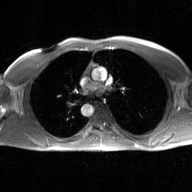
2D phase-contrast cine MRI of the ascending aorta, GAN super-resolution reconstruction.